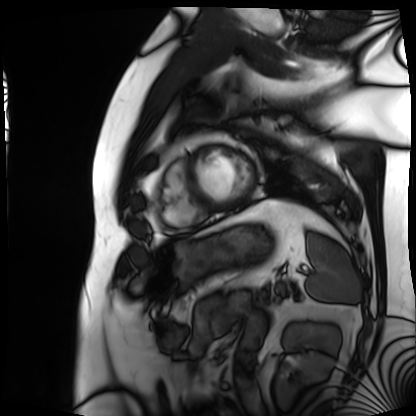
Cardiac MRI.
Subject group: patient.